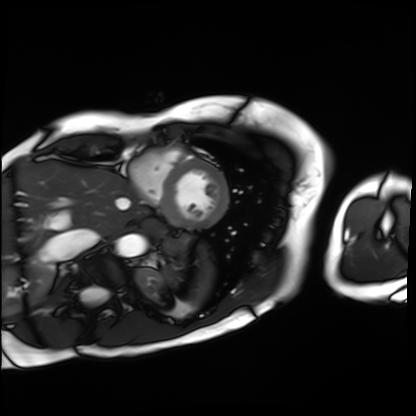
Cardiac MRI. Subject group: patient.